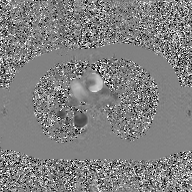
- modality — 2D phase-contrast cine MRI of the ascending aorta, GAN super-resolution reconstruction